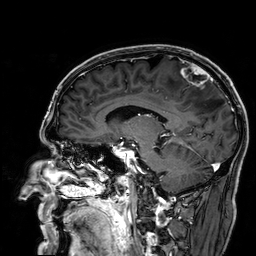
Clinical context: 3 Tesla brain MRI. Series: 3D T1-weighted. Study: ring-enhancing brain masses.